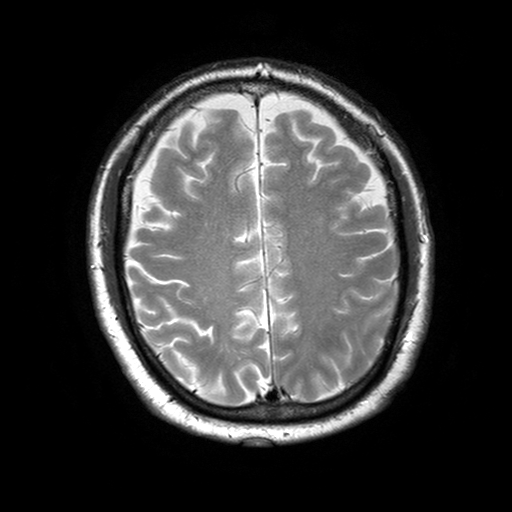
3 Tesla brain MRI. Series: T2-weighted turbo spin echo with SENSE. Study: ring-enhancing brain masses.